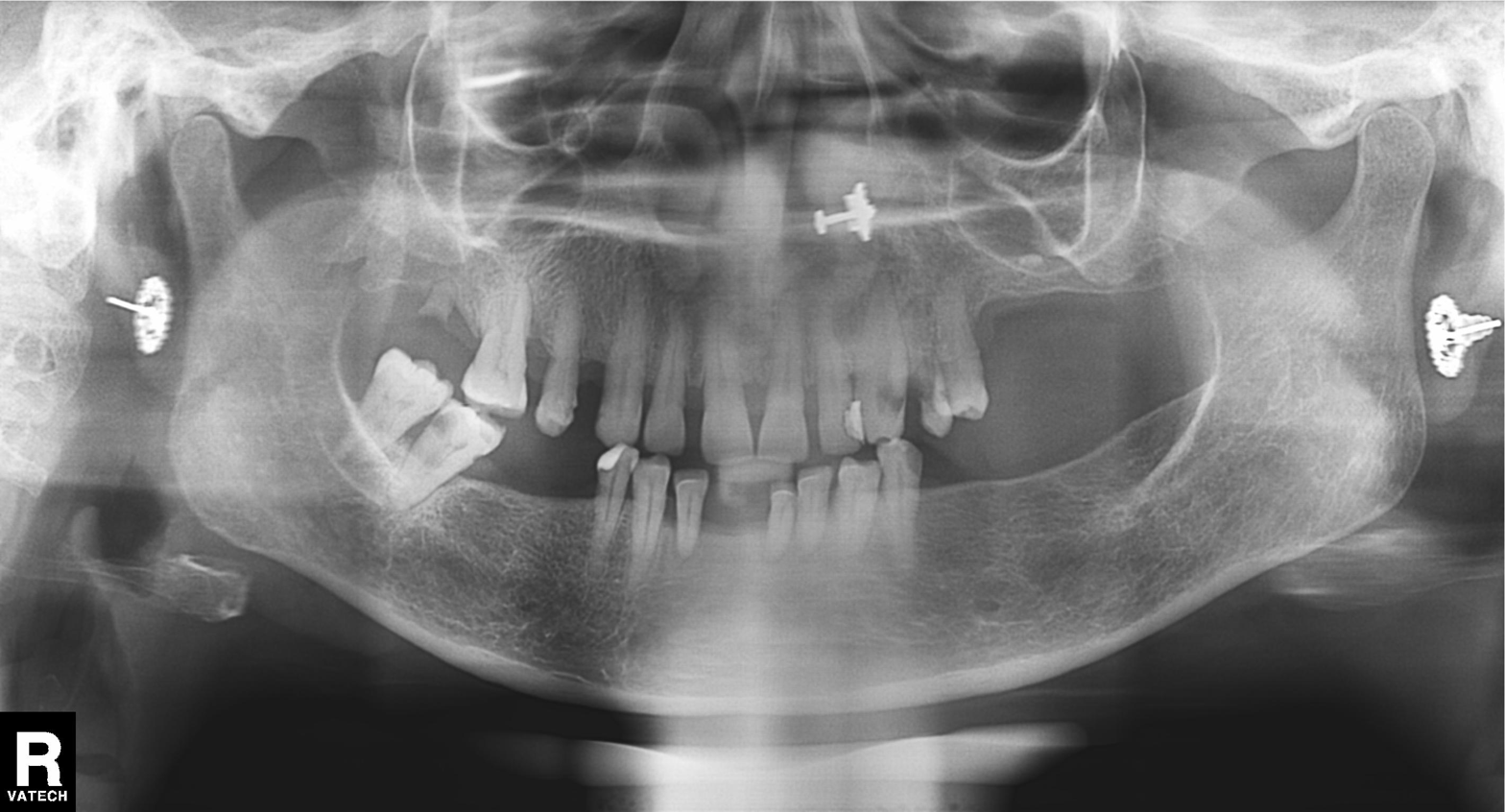
Findings:
• modality — panoramic dental radiograph (orthopantomogram)
• finding — dental caries (cavities)